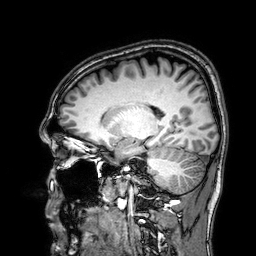
modality = 3 Tesla brain MRI | series = 3D T1-weighted | study = ring-enhancing brain masses.